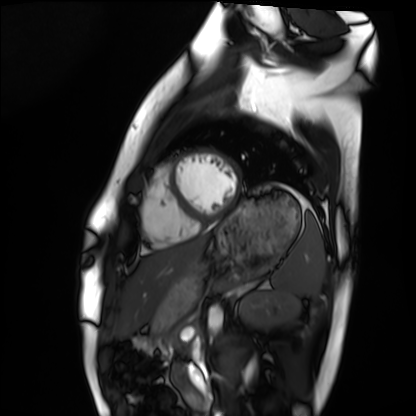
Cardiac MRI. Subject group: healthy volunteer.